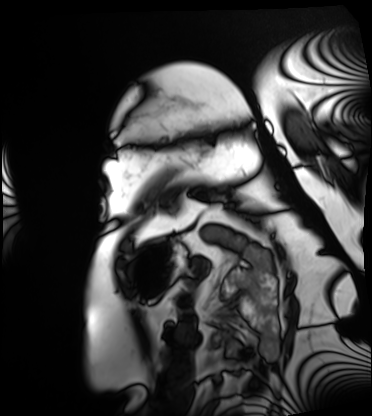
Cardiac MRI. Subject group: patient.